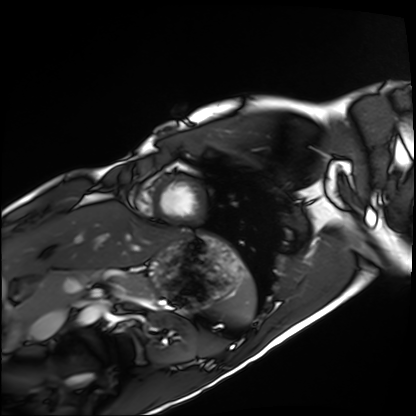
{"modality": "cardiac MRI", "cohort": "healthy volunteer"}